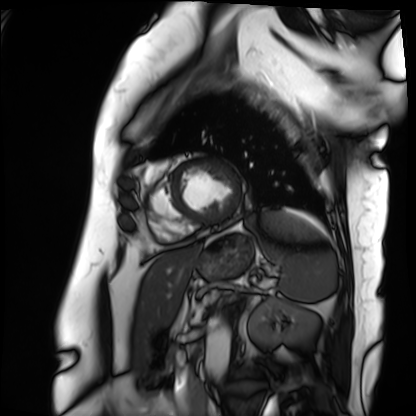
  modality: cardiac MRI
  cohort: patient